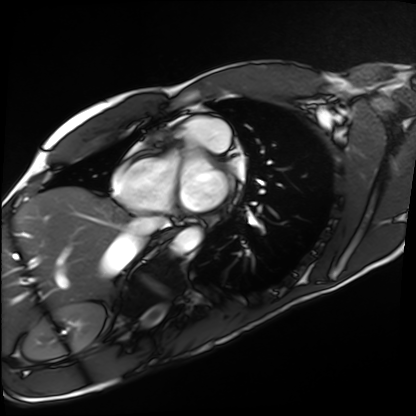
modality: cardiac MRI; subject group: healthy volunteer.